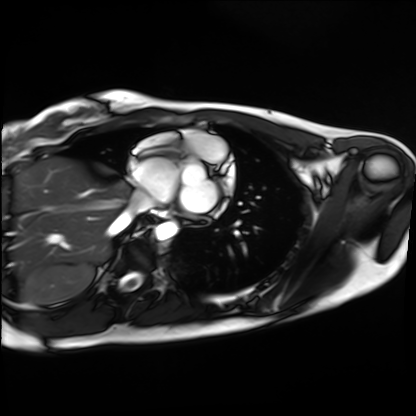
Cardiac MRI. Subject group: healthy volunteer.